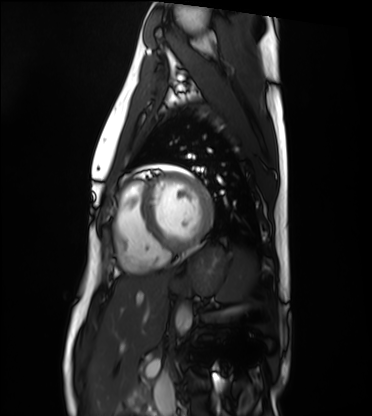
<study>
<modality>cardiac MRI</modality>
<cohort>healthy volunteer</cohort>
</study>